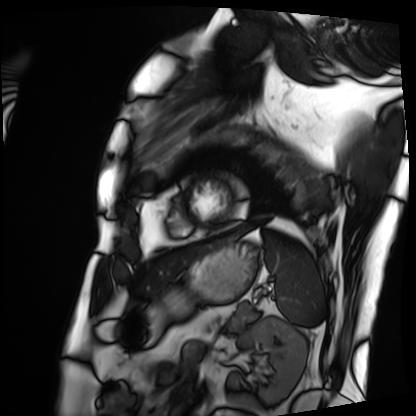
Clinical context: Cardiac MRI. Subject group: patient.